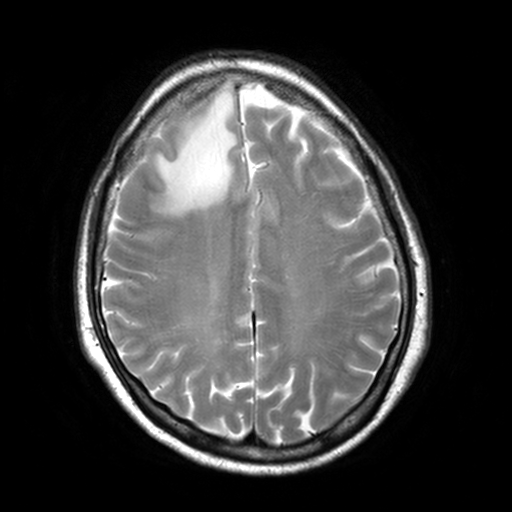
Summary: 3 Tesla brain MRI. Series: T2-weighted turbo spin echo, 3 mm. Study: ring-enhancing brain masses.